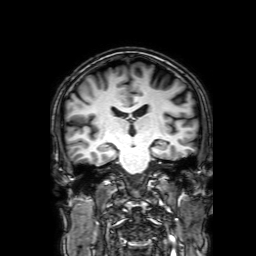
modality — 3 Tesla brain MRI; series — 3D T1-weighted with SENSE; study — ring-enhancing brain masses.